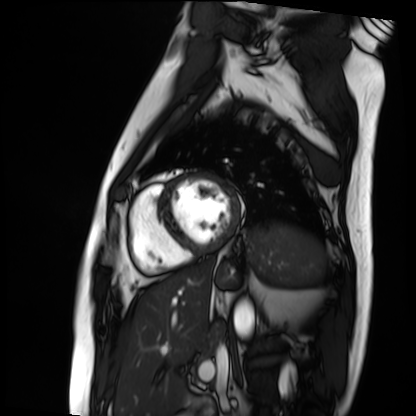
Cardiac MRI.
Subject group: patient.